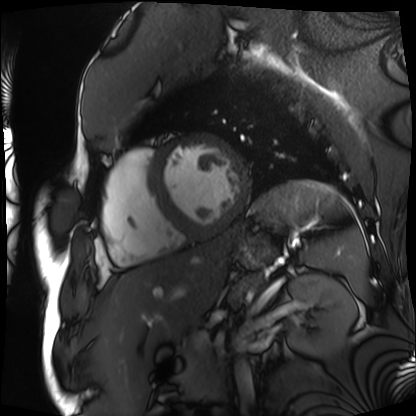
<study>
<modality>cardiac MRI</modality>
<cohort>patient</cohort>
</study>